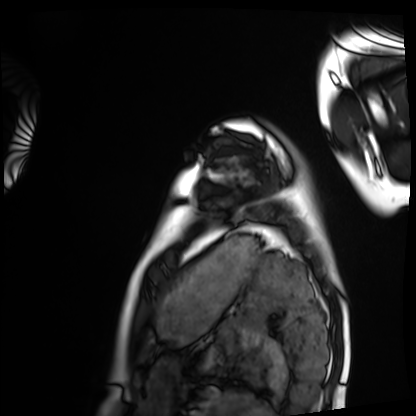
Cardiac MRI.
Subject group: healthy volunteer.